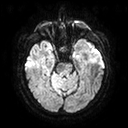
modality=3 Tesla brain MRI; series=diffusion tensor imaging (medium iso); study=ring-enhancing brain masses.